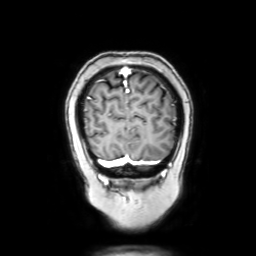
* modality: 3 Tesla brain MRI
* series: coronal with contrast
* study: ring-enhancing brain masses